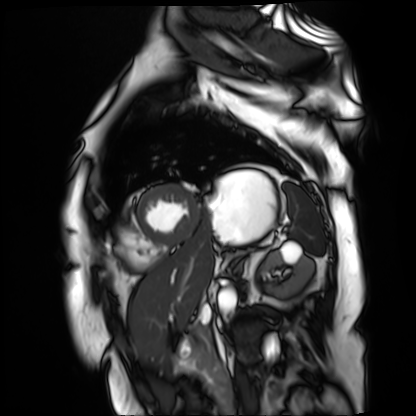
Cardiac MR image of the myocardium. Subject cohort: cardiac patient.